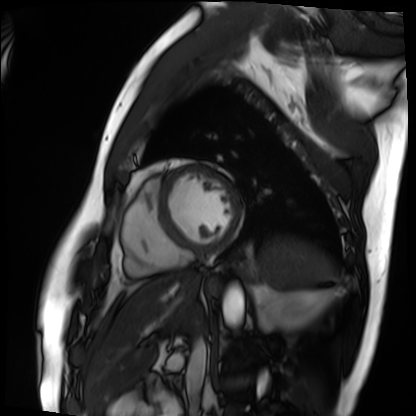
Cardiac MRI. Subject group: patient.